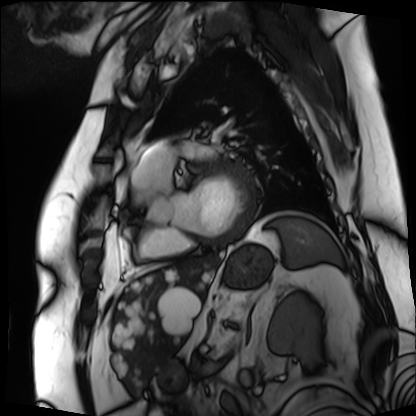
Cardiac MRI.
Subject group: patient.